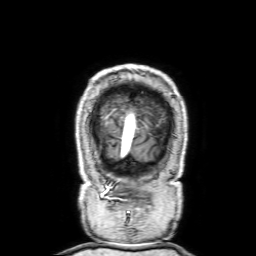
Q: What kind of scan is this?
A: 3 Tesla brain MRI.
Study: ring-enhancing brain masses.